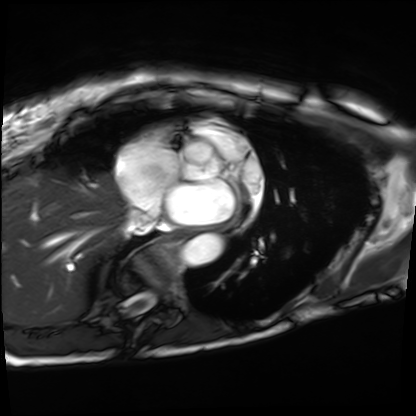
Cardiac MRI.
Subject group: patient.